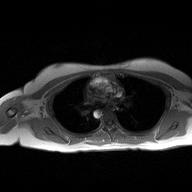
Q: What kind of scan is this?
A: 2D phase-contrast cine MRI of the ascending aorta.